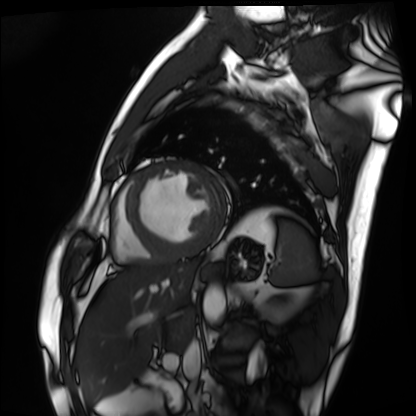
Cardiac MRI. Subject group: patient.